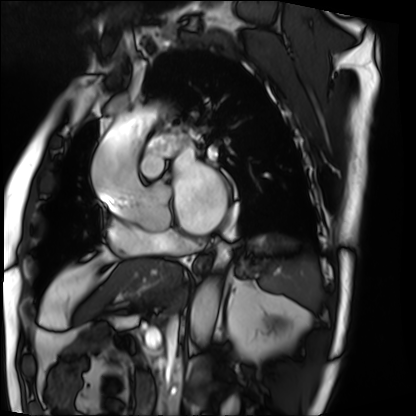
Cardiac MRI.
Subject group: patient.